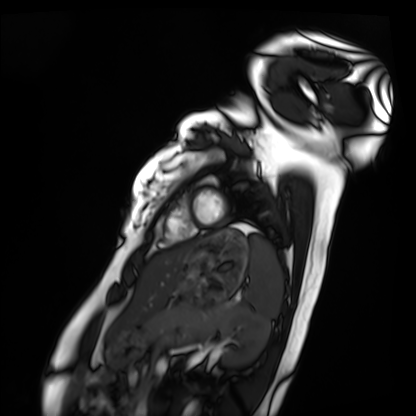
Cardiac MRI. Subject group: healthy volunteer.